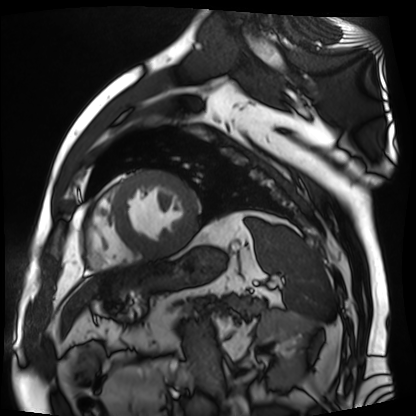
Cardiac MR image of the myocardium. Subject cohort: cardiac patient.